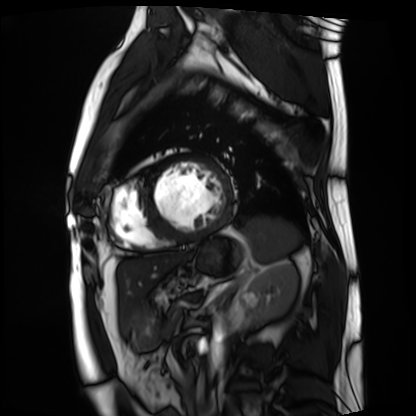
Q: What kind of scan is this?
A: Cardiac MRI.
Subject group: patient.